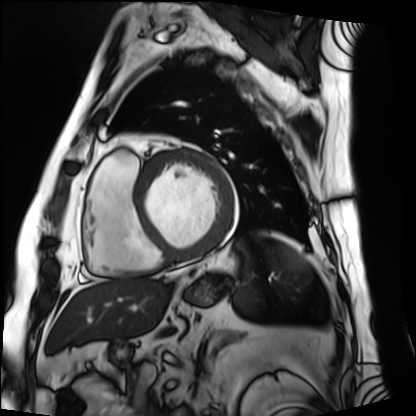
Cardiac MRI.
Subject group: patient.